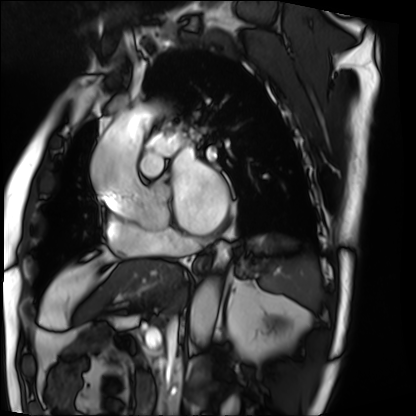
• modality · cardiac MRI
• subject group · patient